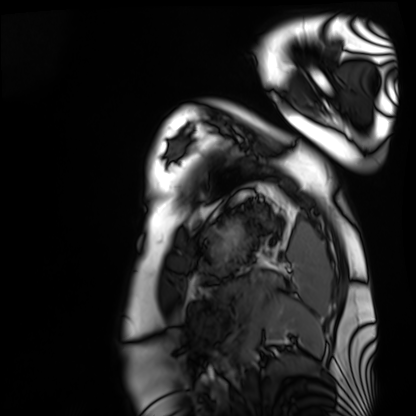
Cardiac MRI.
Subject group: healthy volunteer.